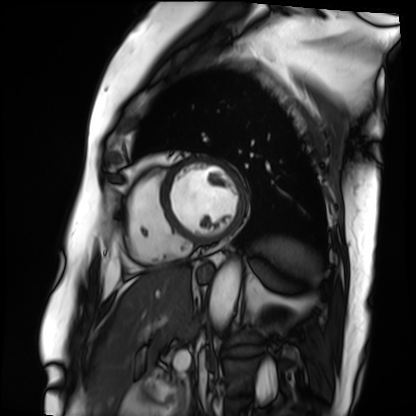
Case:
* modality: cardiac MRI
* subject group: patient